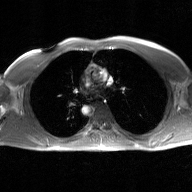
2D phase-contrast cine MRI of the ascending aorta, GAN super-resolution reconstruction.